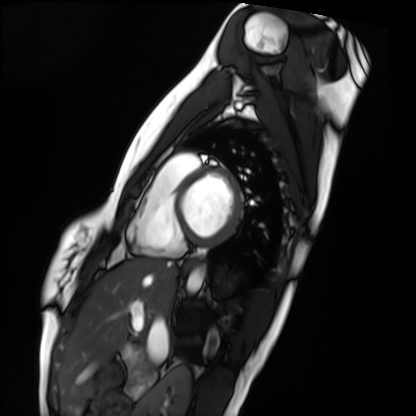
Cardiac MRI.
Subject group: healthy volunteer.